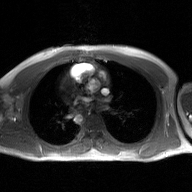
Summary:
2D phase-contrast cine MRI of the ascending aorta, GAN super-resolution reconstruction.